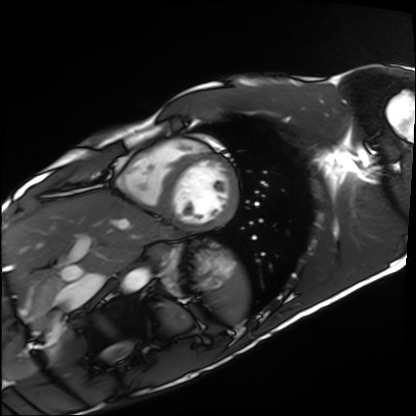
Cardiac MRI.
Subject group: healthy volunteer.